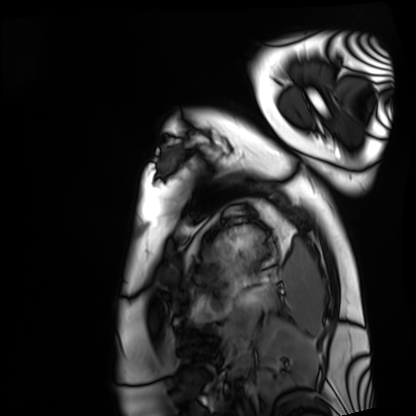
Cardiac MRI. Subject group: healthy volunteer.